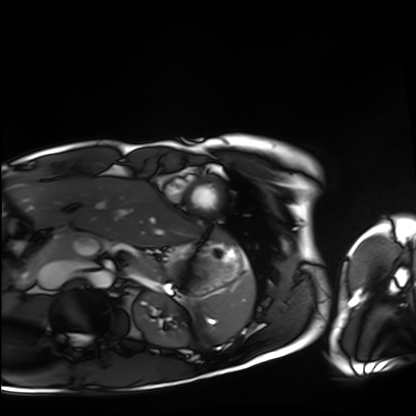
modality = cardiac MRI
subject group = healthy volunteer